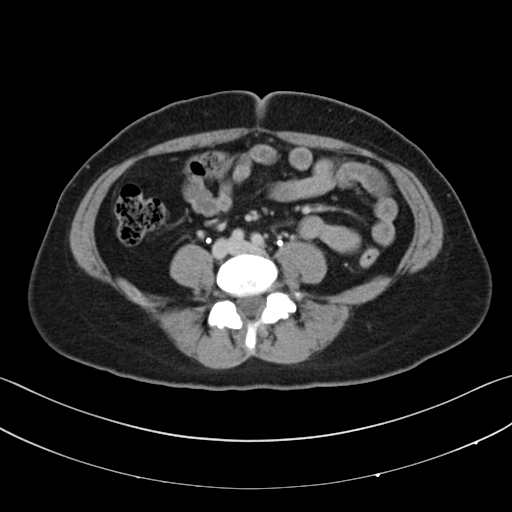
Q: What kind of scan is this?
A: Multiphase abdominal CT, liver, delayed phase.
Q: Patient?
A: Female, age 39.